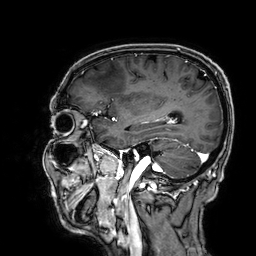
Case summary: 3 Tesla brain MRI. Series: 3D T1-weighted. Study: ring-enhancing brain masses.